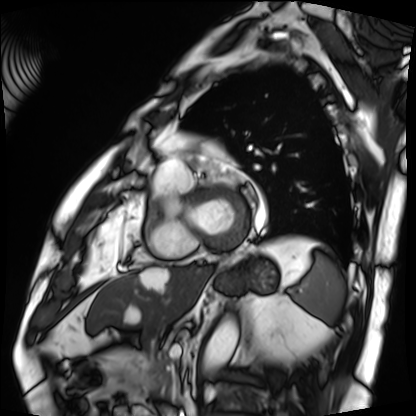
Cardiac MRI.
Subject group: patient.